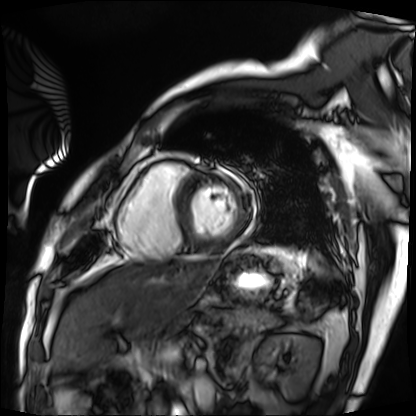
Cardiac MRI. Subject group: patient.